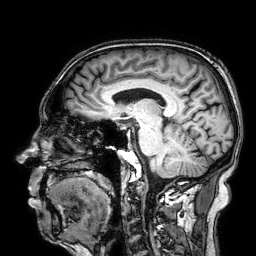
Clinical context:
3 Tesla brain MRI. Series: 3D T1-weighted. Study: ring-enhancing brain masses.